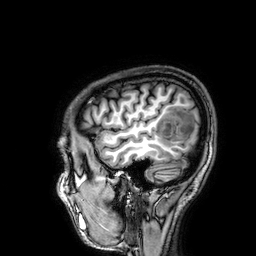
3 Tesla brain MRI. Series: 3D T1-weighted. Study: ring-enhancing brain masses.